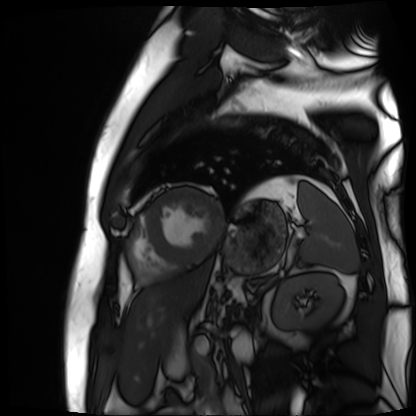
<case>
<modality>cardiac MR image of the myocardium</modality>
<cohort>cardiac patient</cohort>
</case>